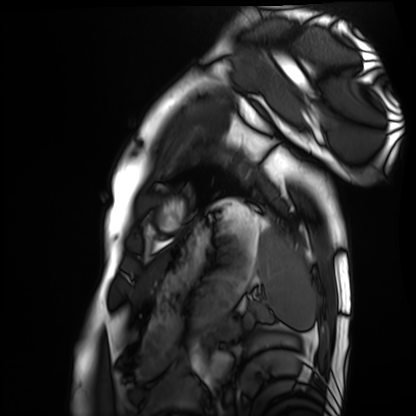
| field | value |
|---|---|
| modality | cardiac MRI |
| subject group | healthy volunteer |